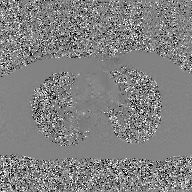
2D phase-contrast cine MRI of the ascending aorta, GAN super-resolution reconstruction.